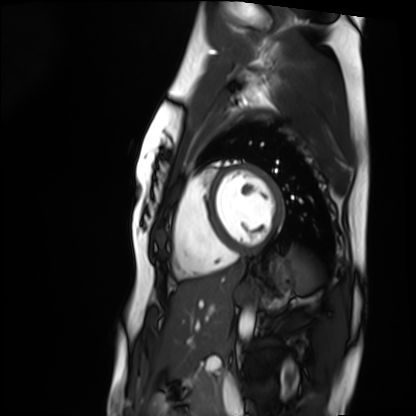
modality = cardiac MRI
subject group = healthy volunteer